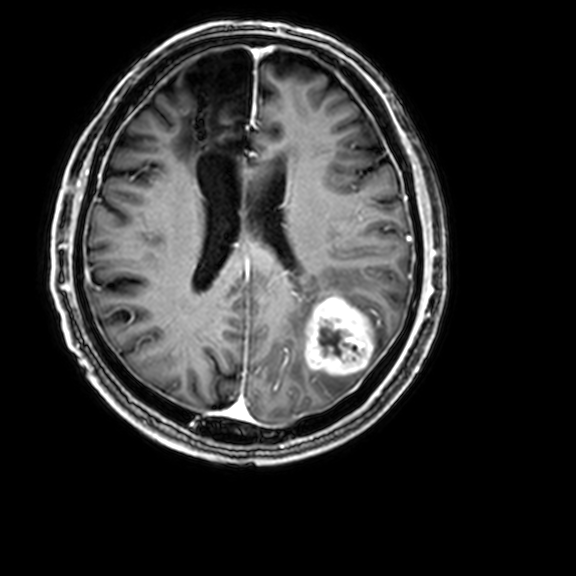
modality:
  type: brain MRI
  field_strength: 3T
series: 3D T1-weighted with CLEAR
study_topic: ring-enhancing brain masses